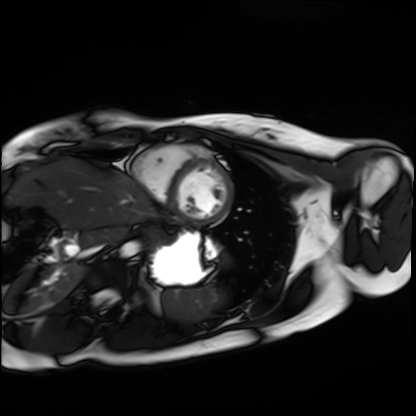
{
  "modality": "cardiac MRI",
  "cohort": "healthy volunteer"
}